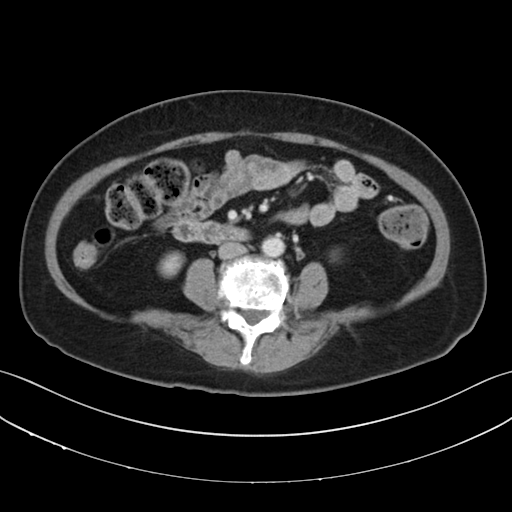
modality = multiphase abdominal CT, liver, delayed phase | patient = female, age 67 | history = prior chemotherapy.